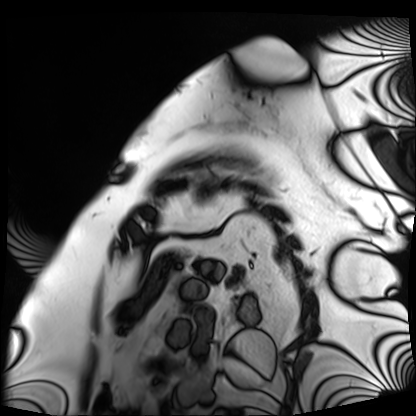
<record>
  <modality>cardiac MRI</modality>
  <cohort>patient</cohort>
</record>